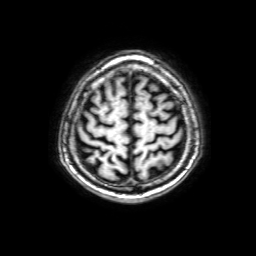
Summary:
3 Tesla brain MRI. Series: 3D T1-weighted with SENSE. Study: ring-enhancing brain masses.